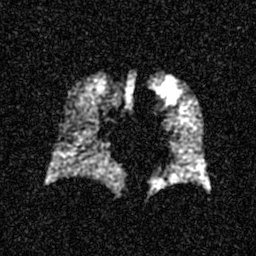
Case summary:
Hyperpolarized 129Xe ventilation MRI of the lungs. SNR level 4 of 8 (the deposit holds this scan as its native image and as seven SNR-degraded versions).